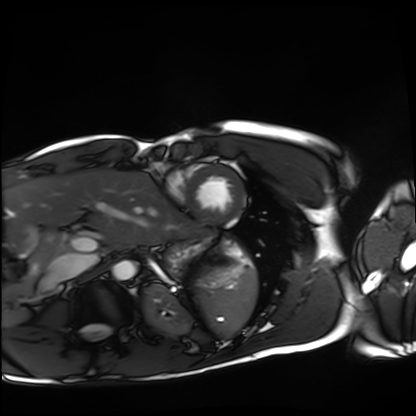
  modality: cardiac MRI
  cohort: healthy volunteer